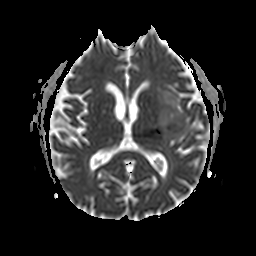
Clinical context: 3 Tesla brain MRI. Series: apparent diffusion coefficient (ADC) map. Study: ring-enhancing brain masses.